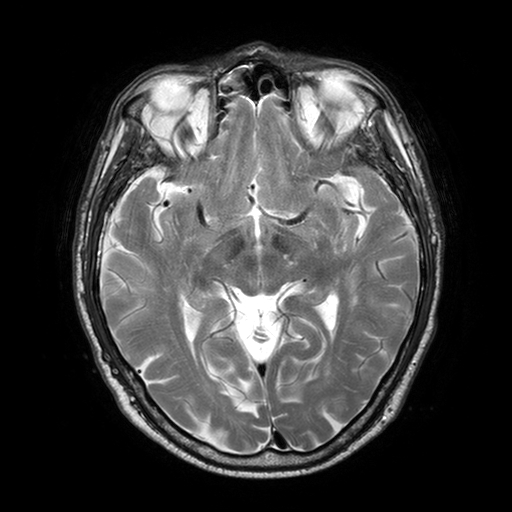
modality = 3 Tesla brain MRI
series = T2-weighted turbo spin echo with SENSE
study = ring-enhancing brain masses